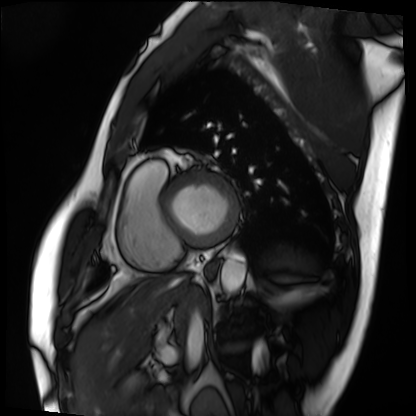
Cardiac MRI.
Subject group: patient.